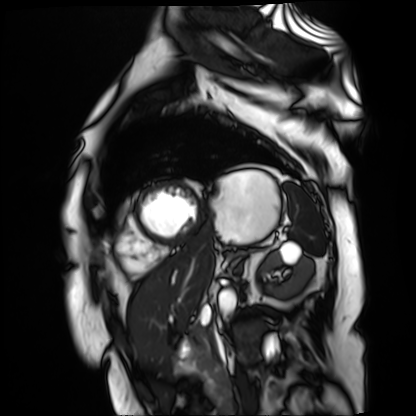
Q: What kind of scan is this?
A: Cardiac MR image of the myocardium.
Subject cohort: cardiac patient.